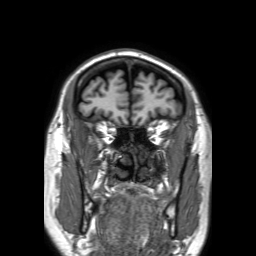
modality: 3 Tesla brain MRI | series: 3D T1-weighted TFE with SENSE | study: ring-enhancing brain masses.